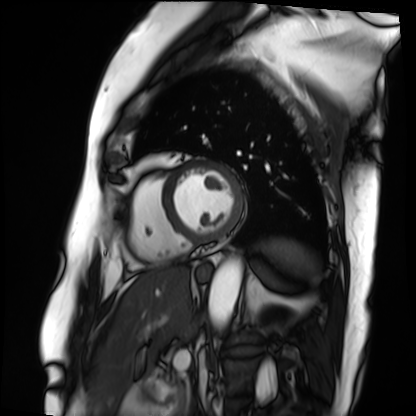
Case summary: Cardiac MRI. Subject group: patient.